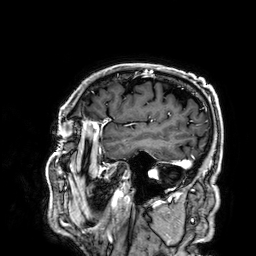
Summary: 3 Tesla brain MRI. Series: 3D T1-weighted. Study: ring-enhancing brain masses.